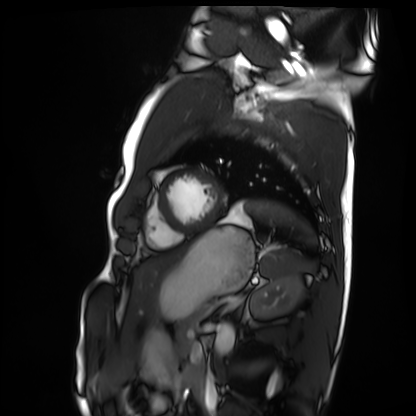
modality: cardiac MRI
cohort: healthy volunteer